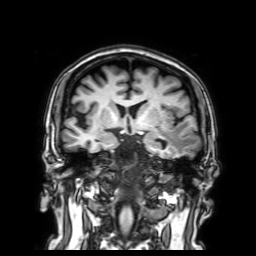
3 Tesla brain MRI.
Series: 3D T1-weighted with SENSE.
Study: ring-enhancing brain masses.